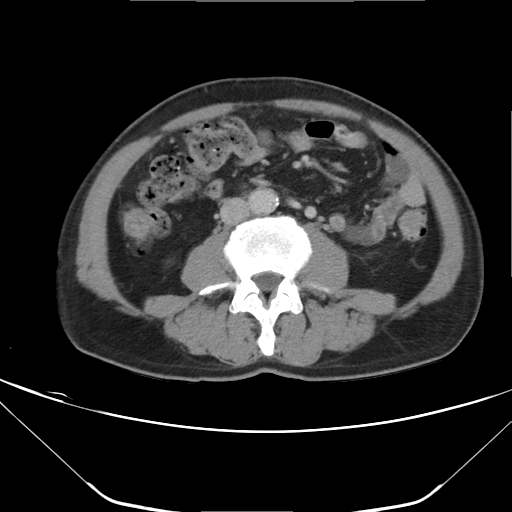
Multiphase abdominal CT, liver, delayed phase. Patient: male, age 61.